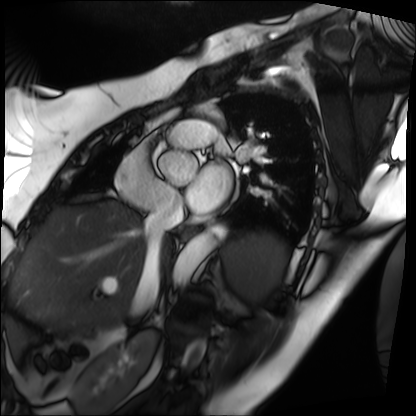
<study>
  <modality>cardiac MRI</modality>
  <cohort>patient</cohort>
</study>